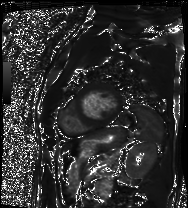
| field | value |
|---|---|
| modality | cardiac MRI |
| subject group | patient |